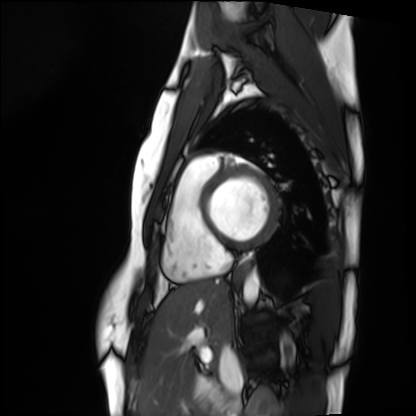
Q: What kind of scan is this?
A: Cardiac MRI.
Subject group: healthy volunteer.